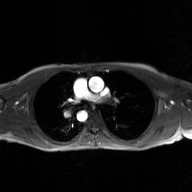
modality: 2D phase-contrast cine MRI of the ascending aorta, GAN super-resolution reconstruction